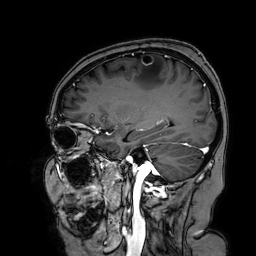
Case:
- modality: 3 Tesla brain MRI
- series: 3D T1-weighted turbo field echo with SENSE
- study: ring-enhancing brain masses